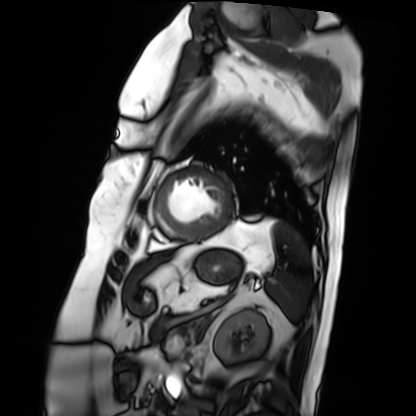
Cardiac MRI.
Subject group: patient.